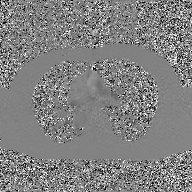
2D phase-contrast cine MRI of the ascending aorta, GAN super-resolution reconstruction.